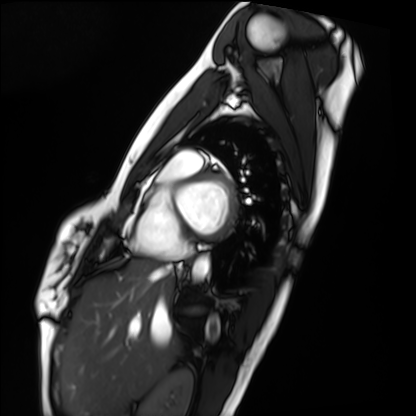
Cardiac MRI. Subject group: healthy volunteer.